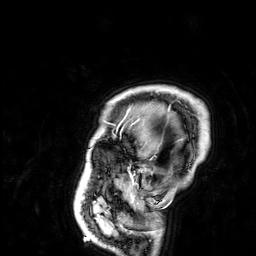
Summary:
3 Tesla brain MRI. Series: 3D T1-weighted. Study: ring-enhancing brain masses.